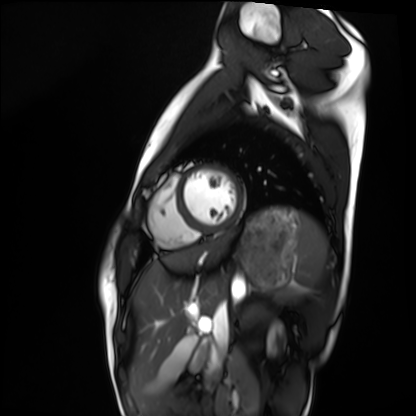
Summary:
Cardiac MRI. Subject group: healthy volunteer.